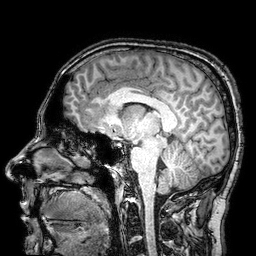
Case:
– modality · 3 Tesla brain MRI
– series · 3D T1-weighted turbo field echo with SENSE
– study · ring-enhancing brain masses